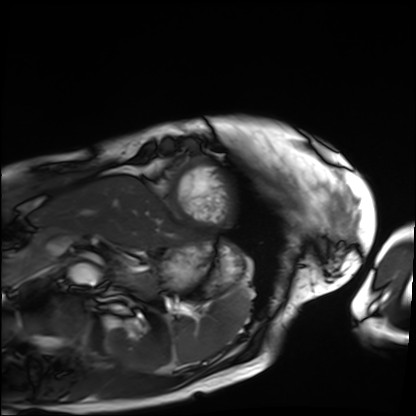
Cardiac MRI. Subject group: patient.